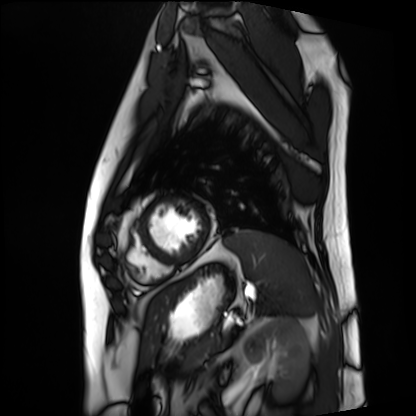
Case summary:
Cardiac MRI. Subject group: patient.